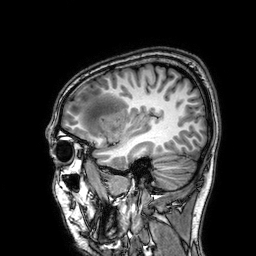
Summary:
3 Tesla brain MRI. Study: ring-enhancing brain masses.